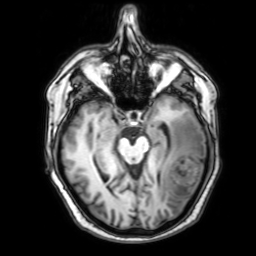
modality = 3 Tesla brain MRI
study = ring-enhancing brain masses